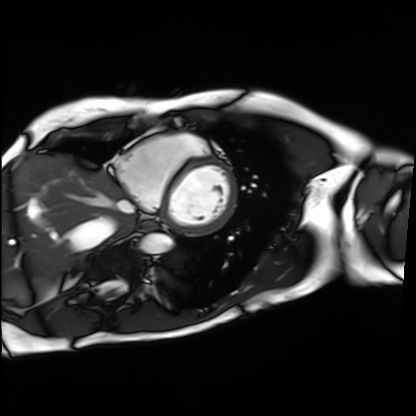
Cardiac MRI.
Subject group: patient.